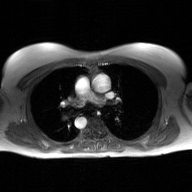
{
  "modality": {
    "type": "2D phase-contrast cine MRI",
    "region": "ascending aorta",
    "reconstruction": "GAN super-resolution reconstruction"
  }
}